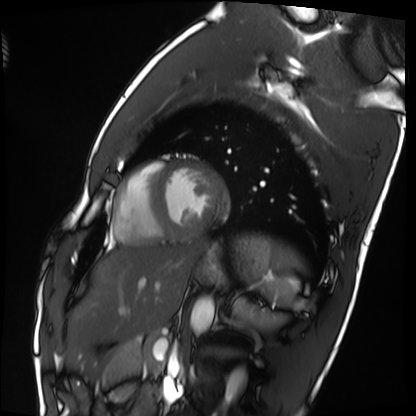
Cardiac MRI.
Subject group: healthy volunteer.